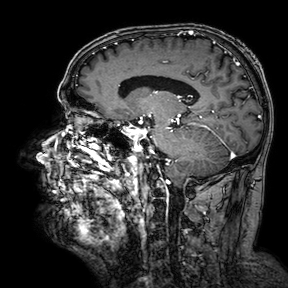
Summary:
3 Tesla brain MRI. Series: 3D T1-weighted turbo field echo with SENSE. Study: ring-enhancing brain masses.